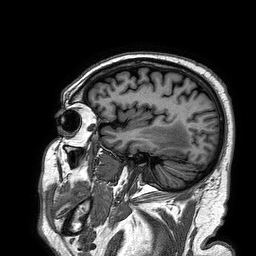
3 Tesla brain MRI.
Study: ring-enhancing brain masses.